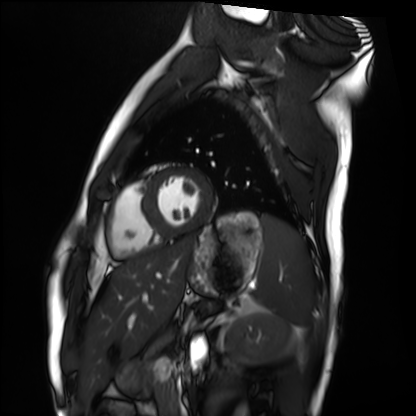
Cardiac MRI. Subject group: healthy volunteer.